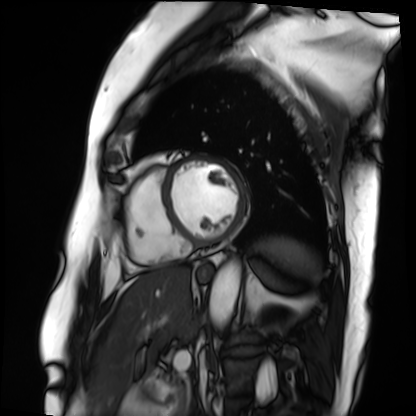
{"modality": "cardiac MRI", "cohort": "patient"}